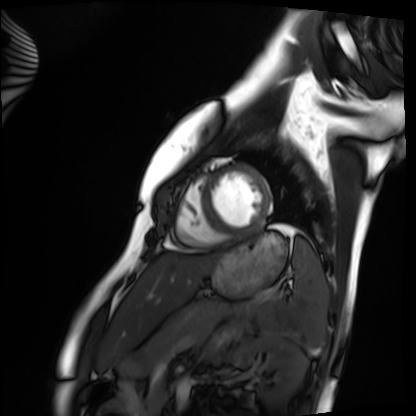
Cardiac MRI. Subject group: healthy volunteer.